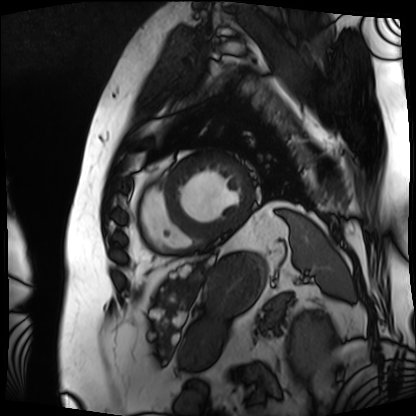
modality: cardiac MRI
subject group: patient